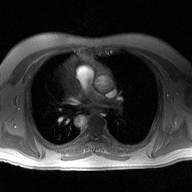
2D phase-contrast cine MRI of the ascending aorta, high-resolution GRAPPA acquisition.